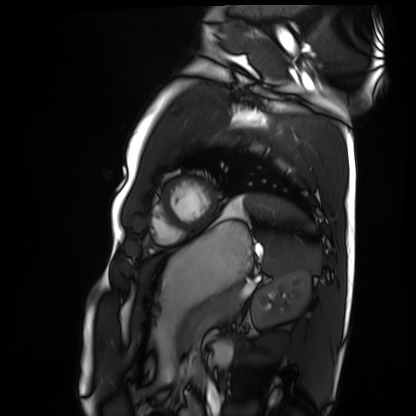
Q: What kind of scan is this?
A: Cardiac MRI.
Subject group: healthy volunteer.